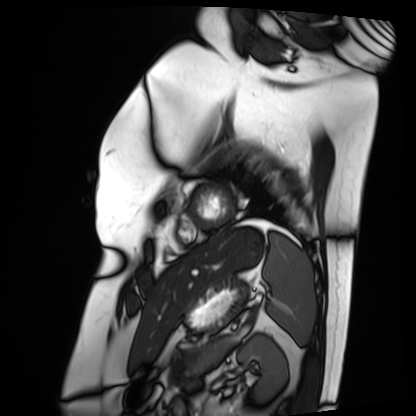
Cardiac MRI.
Subject group: patient.